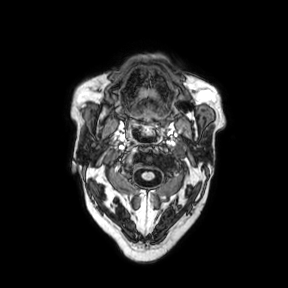
Summary:
3 Tesla brain MRI. Series: axial. Study: ring-enhancing brain masses.